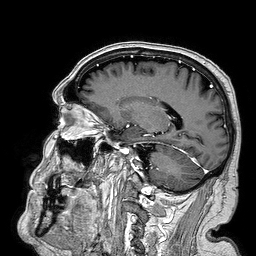
3 Tesla brain MRI. Series: 3D T1-weighted turbo field echo. Study: ring-enhancing brain masses.